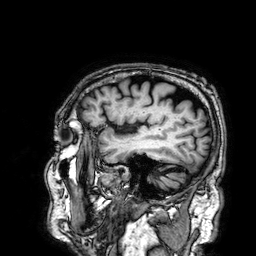
{"modality": {"type": "brain MRI", "field_strength": "3T"}, "series": "3D T1-weighted", "study_topic": "ring-enhancing brain masses"}